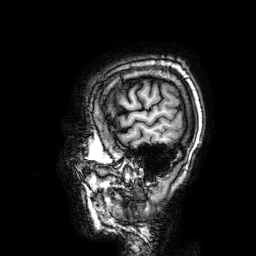
{"modality": {"type": "brain MRI", "field_strength": "3T"}, "series": "3D T1-weighted", "study_topic": "ring-enhancing brain masses"}